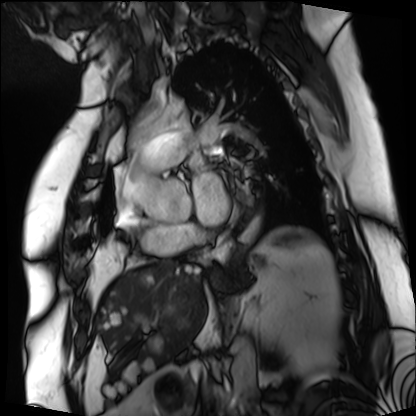
Q: What kind of scan is this?
A: Cardiac MRI.
Subject group: patient.